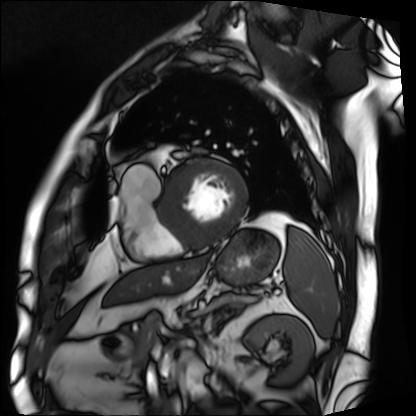
Q: What kind of scan is this?
A: Cardiac MRI.
Subject group: patient.